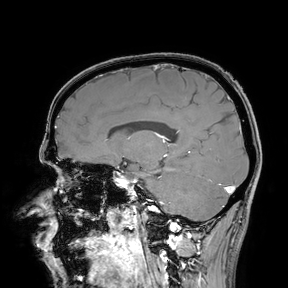
Case summary: 3 Tesla brain MRI. Study: ring-enhancing brain masses.